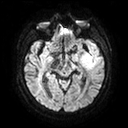
3 Tesla brain MRI.
Series: diffusion tensor imaging (medium iso).
Study: ring-enhancing brain masses.